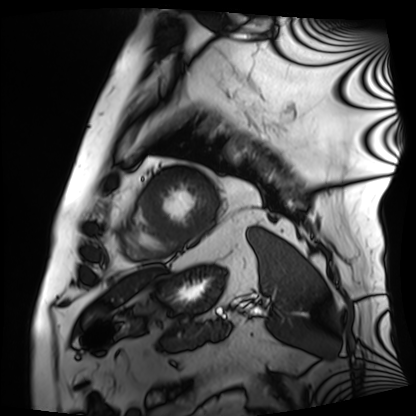
Clinical context:
Cardiac MRI. Subject group: patient.